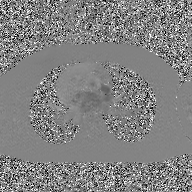
{"modality": {"type": "2D phase-contrast cine MRI", "region": "ascending aorta", "reconstruction": "GAN super-resolution reconstruction"}}